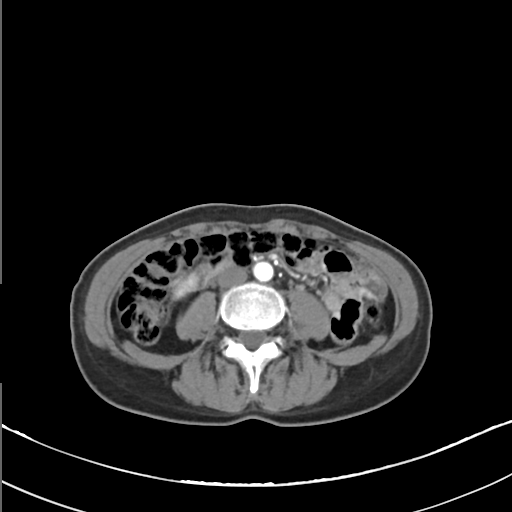
modality: multiphase abdominal CT, liver, arterial phase | patient: female, age 53.